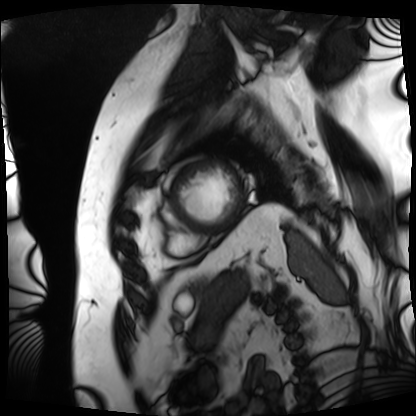
Cardiac MRI.
Subject group: patient.